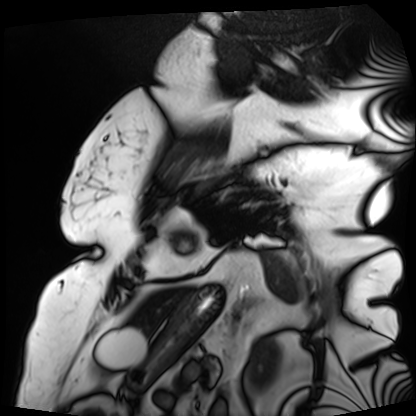
Case:
– modality — cardiac MRI
– subject group — patient